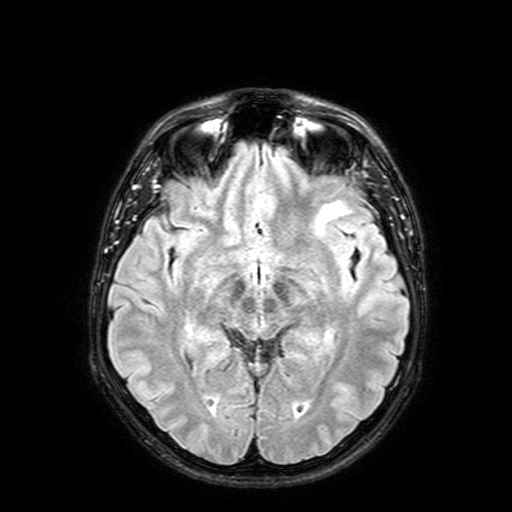
– modality — 3 Tesla brain MRI
– series — FLAIR with SPAIR, 3 mm
– study — ring-enhancing brain masses